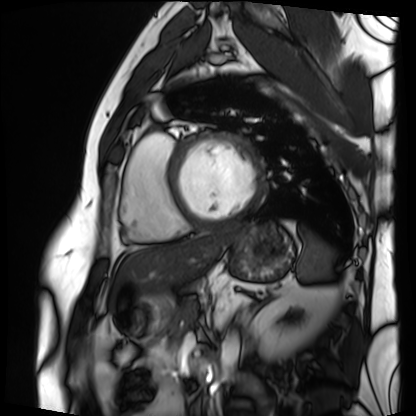
Cardiac MRI.
Subject group: patient.